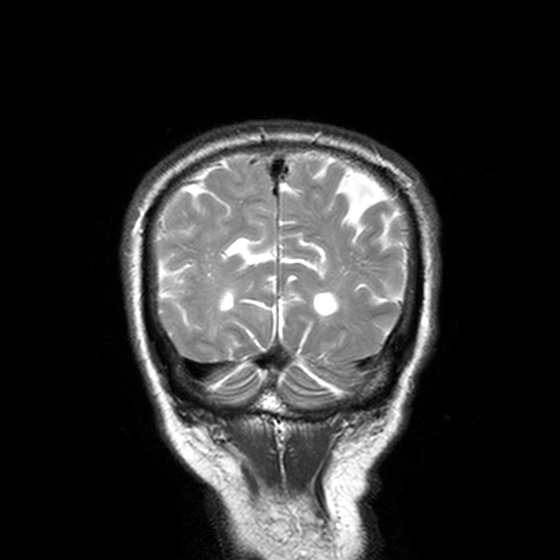
3 Tesla brain MRI.
Series: T2-weighted turbo spin echo, 3 mm.
Study: ring-enhancing brain masses.